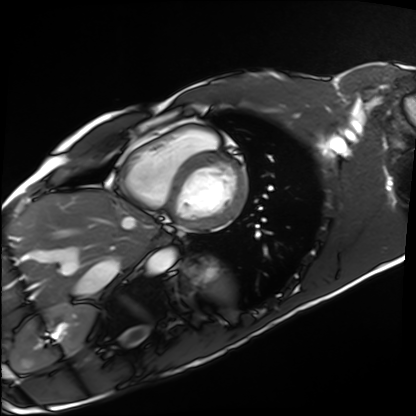
- modality: cardiac MRI
- subject group: healthy volunteer